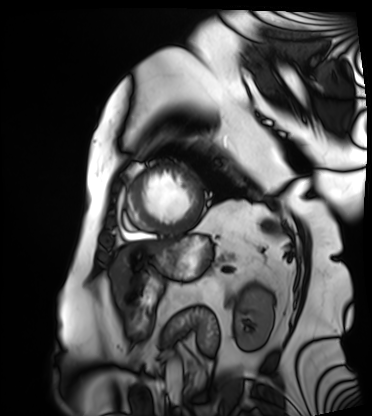
Summary:
Cardiac MRI. Subject group: patient.